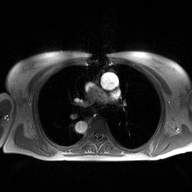
2D phase-contrast cine MRI of the ascending aorta, high-resolution GRAPPA acquisition.